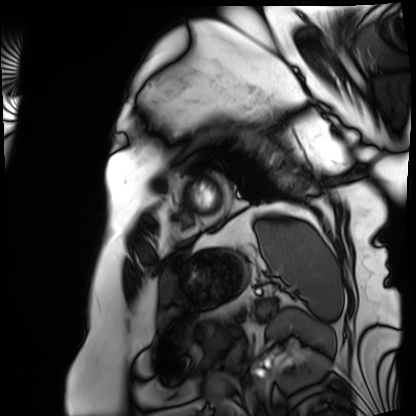
Cardiac MRI. Subject group: patient.